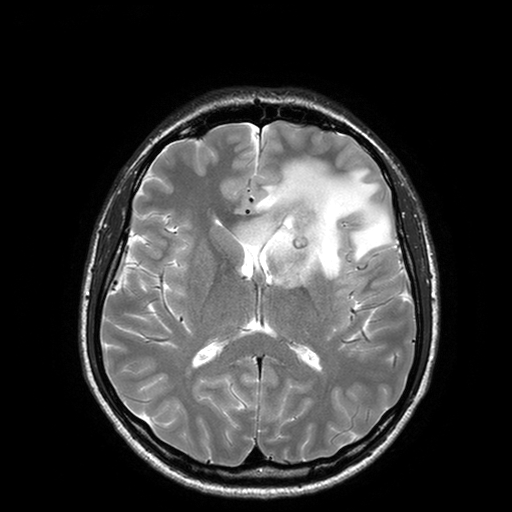
| field | value |
|---|---|
| modality | 3 Tesla brain MRI |
| study | ring-enhancing brain masses |